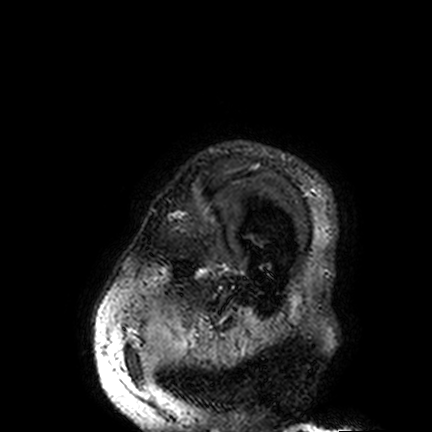
- modality: 3 Tesla brain MRI
- series: FLAIR VISTA
- study: ring-enhancing brain masses